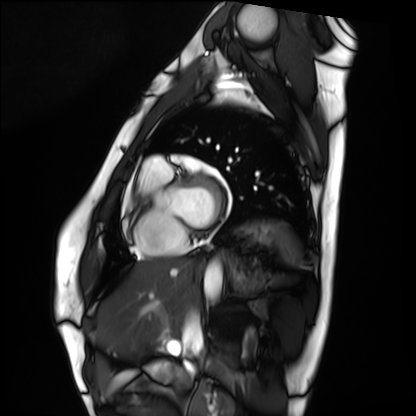
modality: cardiac MRI
subject group: healthy volunteer